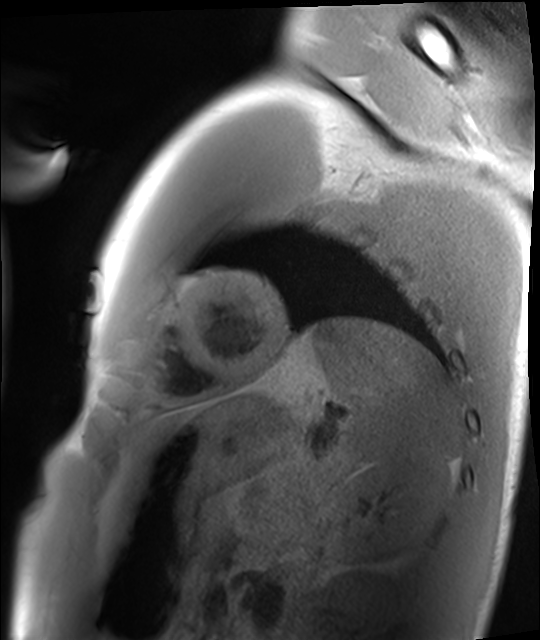
Cardiac MRI.
Subject group: healthy volunteer.